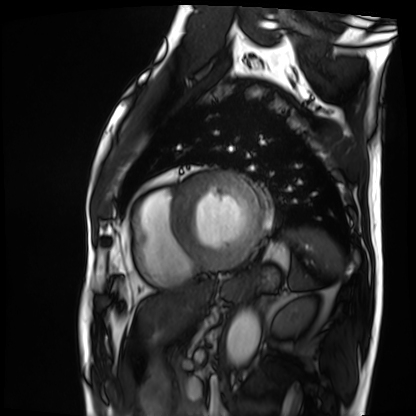
{
  "modality": "cardiac MRI",
  "cohort": "patient"
}